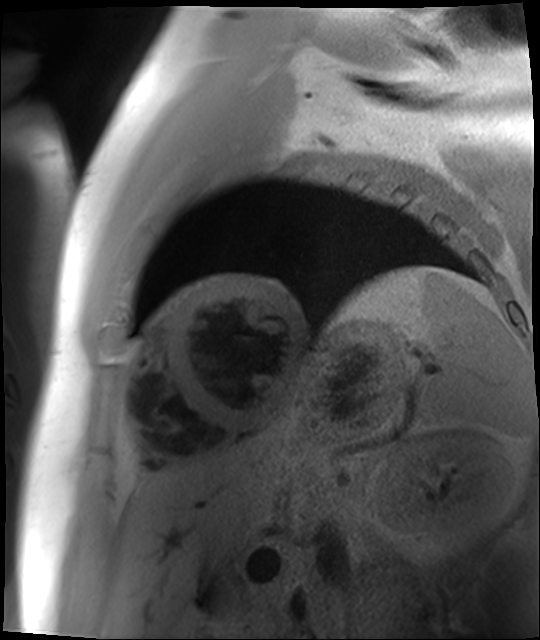
Cardiac MR image of the myocardium.
Subject cohort: cardiac patient.